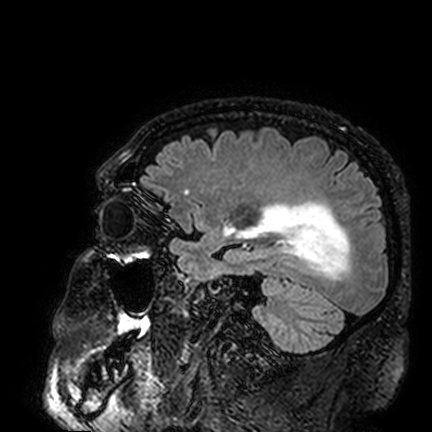
3 Tesla brain MRI. Series: FLAIR VISTA. Study: ring-enhancing brain masses.